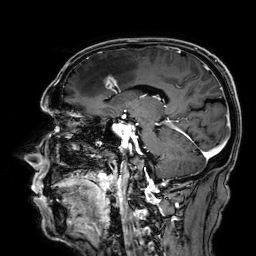
Summary:
3 Tesla brain MRI. Series: 3D T1-weighted. Study: ring-enhancing brain masses.